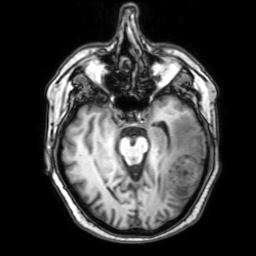
3 Tesla brain MRI. Series: 3D T1-weighted with SENSE. Study: ring-enhancing brain masses.